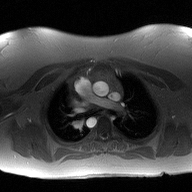
* modality: 2D phase-contrast cine MRI of the ascending aorta